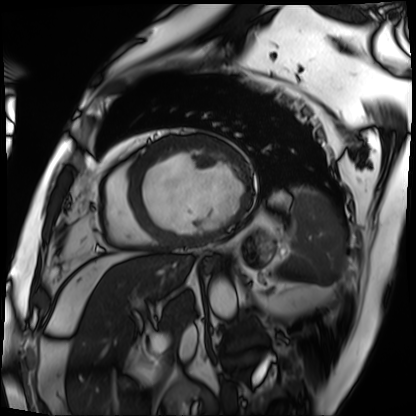
Case:
* modality · cardiac MRI
* subject group · patient